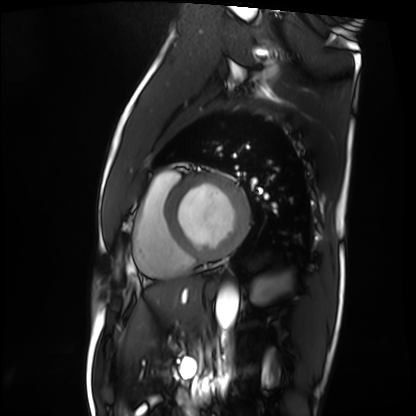
Q: What kind of scan is this?
A: Cardiac MRI.
Subject group: patient.